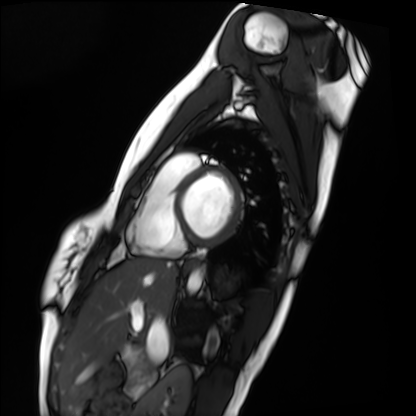
{
  "modality": "cardiac MRI",
  "cohort": "healthy volunteer"
}